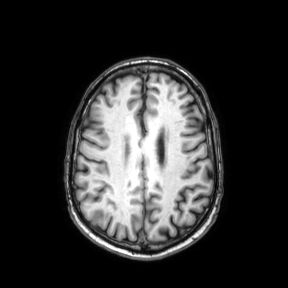
3 Tesla brain MRI.
Series: axial.
Study: ring-enhancing brain masses.